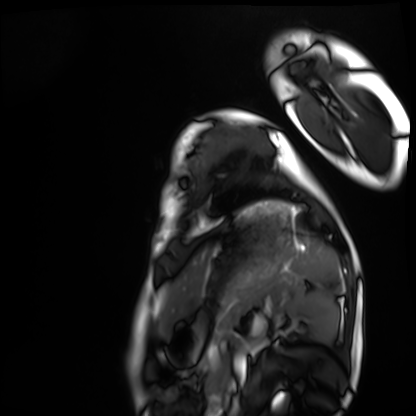
| field | value |
|---|---|
| modality | cardiac MRI |
| subject group | healthy volunteer |